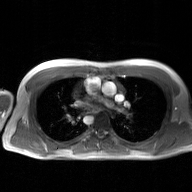
2D phase-contrast cine MRI of the ascending aorta, GAN super-resolution reconstruction.